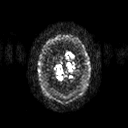
modality:
  type: brain MRI
  field_strength: 3T
series: diffusion tensor imaging (medium iso)
study_topic: ring-enhancing brain masses